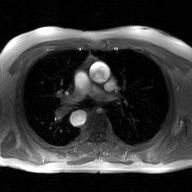
Clinical context: 2D phase-contrast cine MRI of the ascending aorta, GAN super-resolution reconstruction.